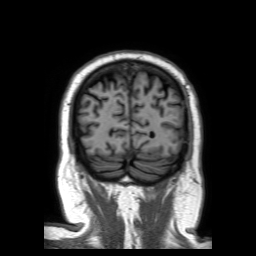
| field | value |
|---|---|
| modality | 3 Tesla brain MRI |
| series | 3D T1-weighted TFE with SENSE |
| study | ring-enhancing brain masses |